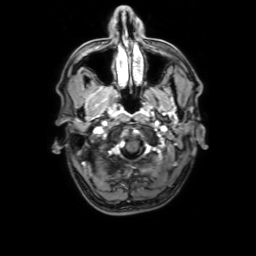
modality: 3 Tesla brain MRI
series: 3D T1-weighted with SENSE
study: ring-enhancing brain masses